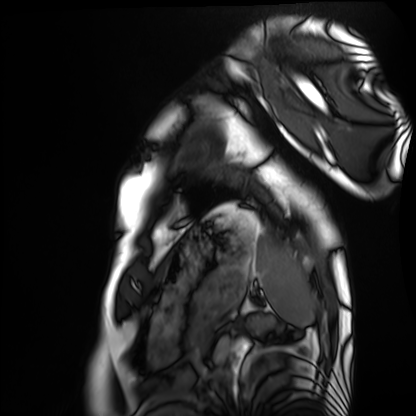
Q: What kind of scan is this?
A: Cardiac MRI.
Subject group: healthy volunteer.